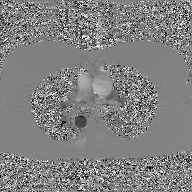
{
  "modality": {
    "type": "2D phase-contrast cine MRI",
    "region": "ascending aorta",
    "reconstruction": "GAN super-resolution reconstruction"
  }
}